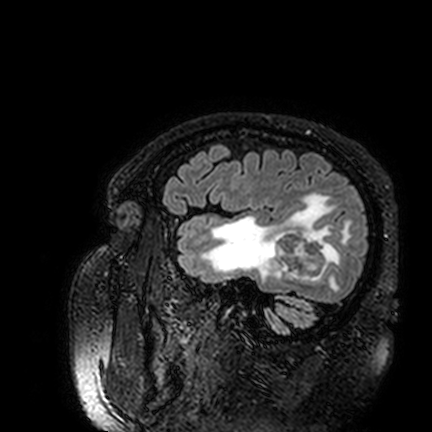
Q: What kind of scan is this?
A: 3 Tesla brain MRI.
Q: Series?
A: FLAIR VISTA.
Study: ring-enhancing brain masses.